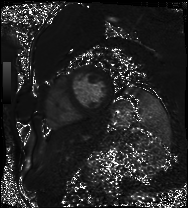
| field | value |
|---|---|
| modality | cardiac MRI |
| subject group | patient |